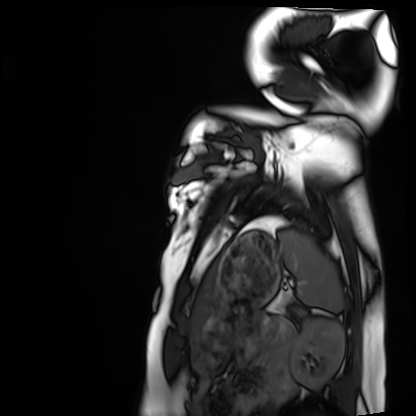
Summary: Cardiac MRI. Subject group: healthy volunteer.